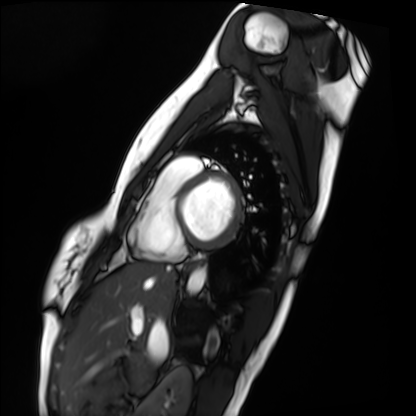
modality = cardiac MRI, subject group = healthy volunteer.